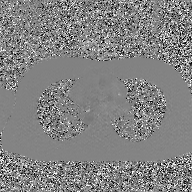
Case:
- modality · 2D phase-contrast cine MRI of the ascending aorta, GAN super-resolution reconstruction